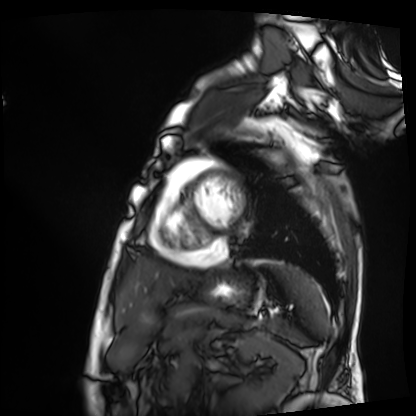
Cardiac MRI. Subject group: patient.